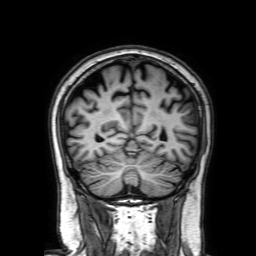
Summary: 3 Tesla brain MRI. Series: 3D T1-weighted with SENSE. Study: ring-enhancing brain masses.